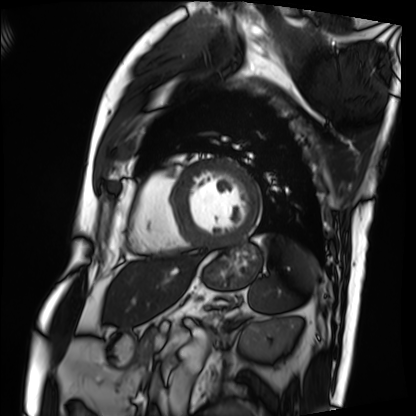
Cardiac MRI. Subject group: patient.